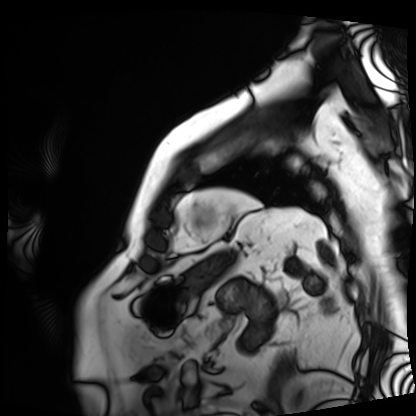
Summary:
Cardiac MRI. Subject group: patient.